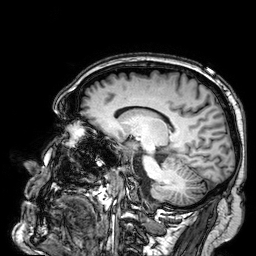
Q: What kind of scan is this?
A: 3 Tesla brain MRI.
Q: Series?
A: 3D T1-weighted.
Study: ring-enhancing brain masses.